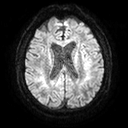
Clinical context:
3 Tesla brain MRI. Series: diffusion tensor imaging (medium iso). Study: ring-enhancing brain masses.